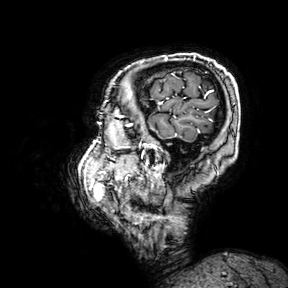
- modality · 3 Tesla brain MRI
- series · 3D T1-weighted turbo field echo with SENSE
- study · ring-enhancing brain masses